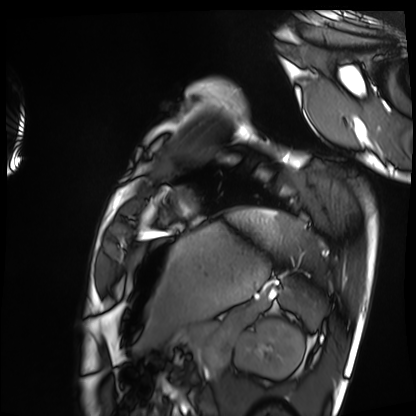
Summary:
Cardiac MRI. Subject group: healthy volunteer.